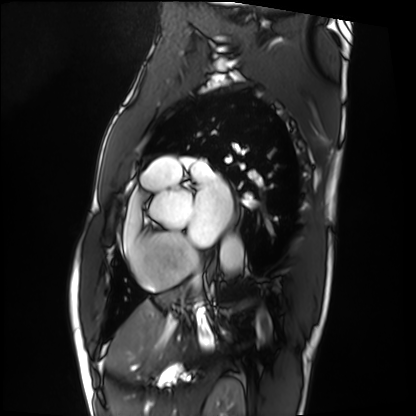
| field | value |
|---|---|
| modality | cardiac MRI |
| subject group | patient |